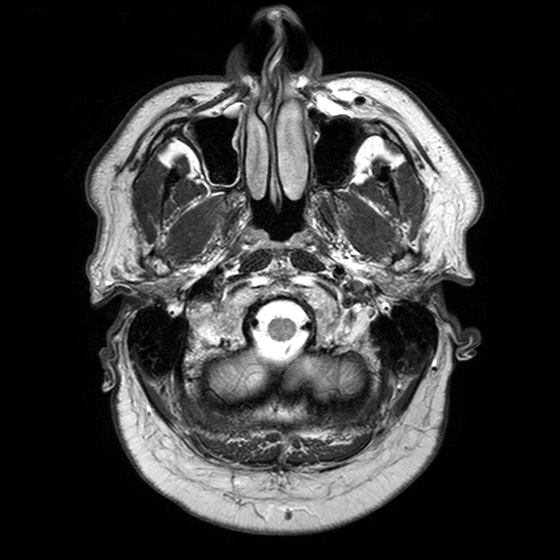
<case>
<modality>
  <type>brain MRI</type>
  <field_strength>3T</field_strength>
</modality>
<series>T2-weighted turbo spin echo with SENSE</series>
<study_topic>ring-enhancing brain masses</study_topic>
</case>